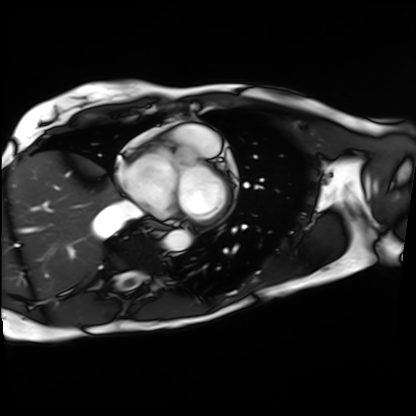
Q: What kind of scan is this?
A: Cardiac MRI.
Subject group: patient.